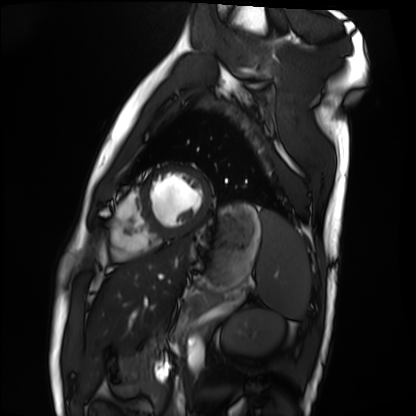
modality = cardiac MRI
subject group = healthy volunteer